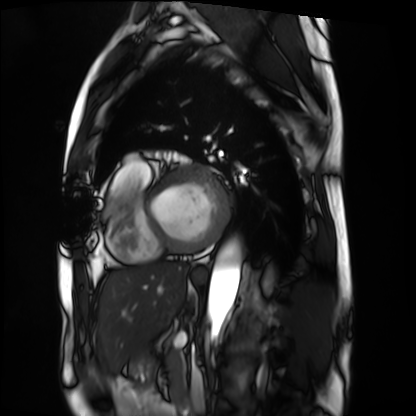
Summary: Cardiac MRI. Subject group: patient.